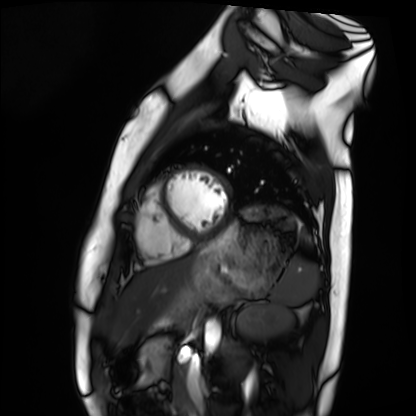
Q: What kind of scan is this?
A: Cardiac MRI.
Subject group: healthy volunteer.